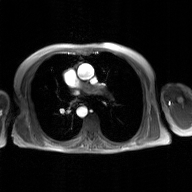
Clinical context: 2D phase-contrast cine MRI of the ascending aorta, GAN super-resolution reconstruction.